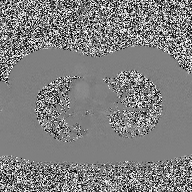
Case summary: 2D phase-contrast cine MRI of the ascending aorta, high-resolution GRAPPA acquisition.